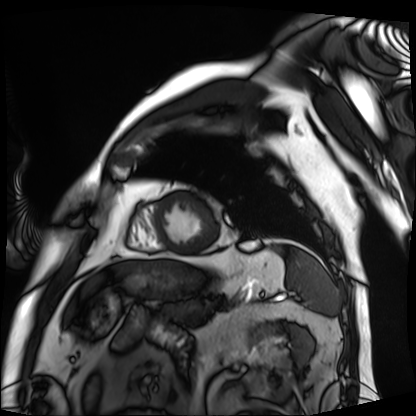
Cardiac MRI.
Subject group: patient.